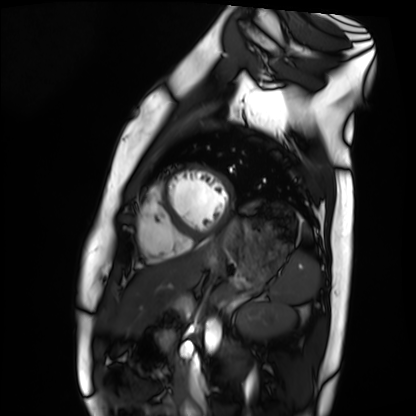
<case>
  <modality>cardiac MRI</modality>
  <cohort>healthy volunteer</cohort>
</case>